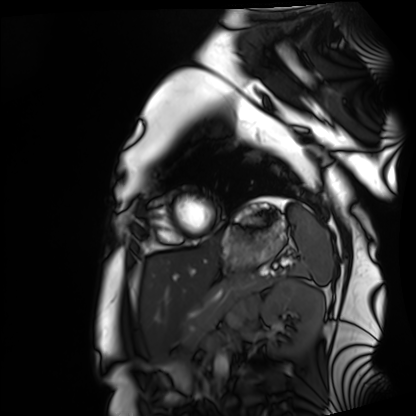
Cardiac MRI. Subject group: healthy volunteer.